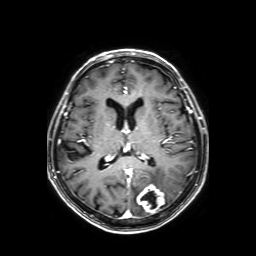
3 Tesla brain MRI. Series: axial T1-weighted fusion image. Study: ring-enhancing brain masses.